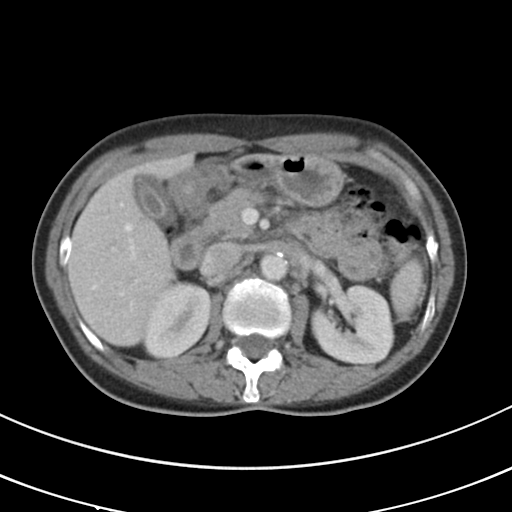
Multiphase abdominal CT, liver, portal venous phase. Patient: female, age 50.